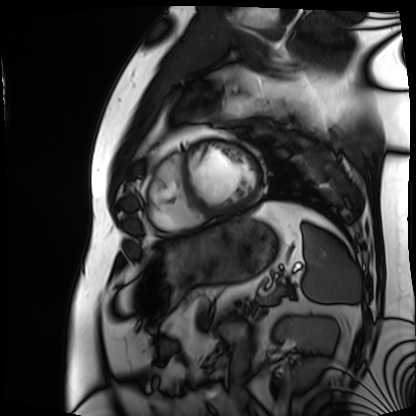
Cardiac MRI. Subject group: patient.